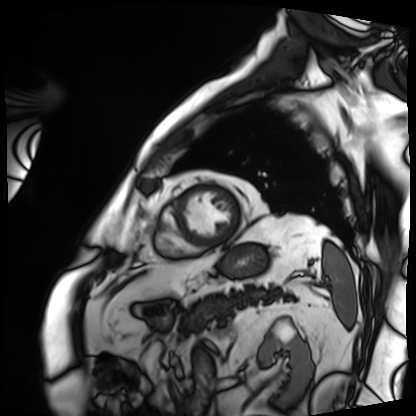
{
  "modality": "cardiac MRI",
  "cohort": "patient"
}